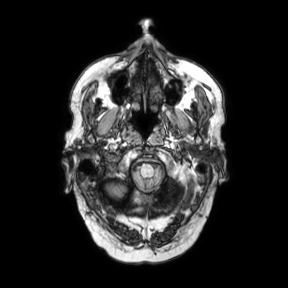
modality=3 Tesla brain MRI | series=axial | study=ring-enhancing brain masses.